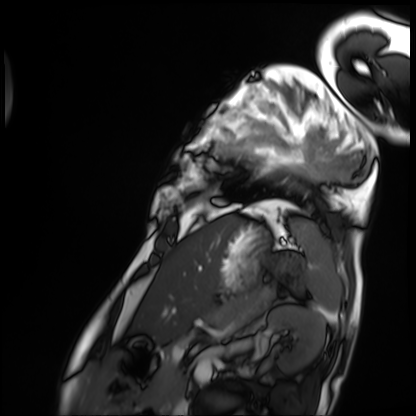
Summary:
Cardiac MRI. Subject group: patient.